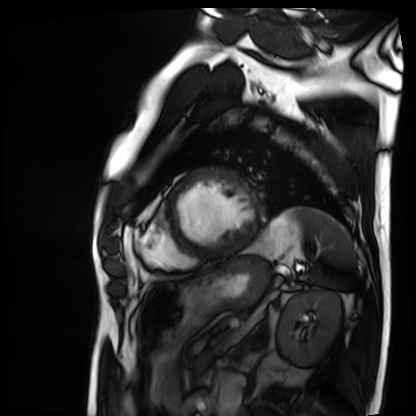
modality: cardiac MRI, subject group: patient.